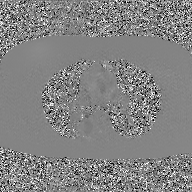
Summary:
2D phase-contrast cine MRI of the ascending aorta, GAN super-resolution reconstruction.